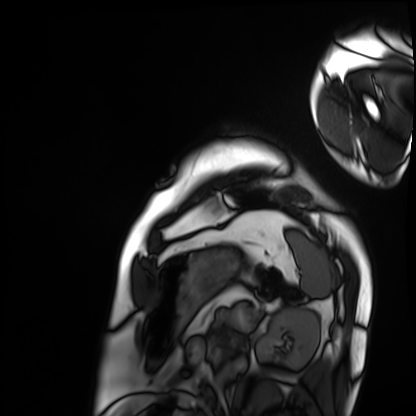
Cardiac MRI. Subject group: patient.